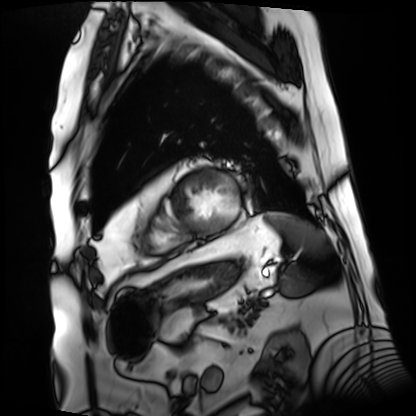
– modality: cardiac MRI
– subject group: patient